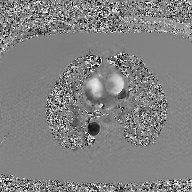
modality: 2D phase-contrast cine MRI of the ascending aorta, GAN super-resolution reconstruction